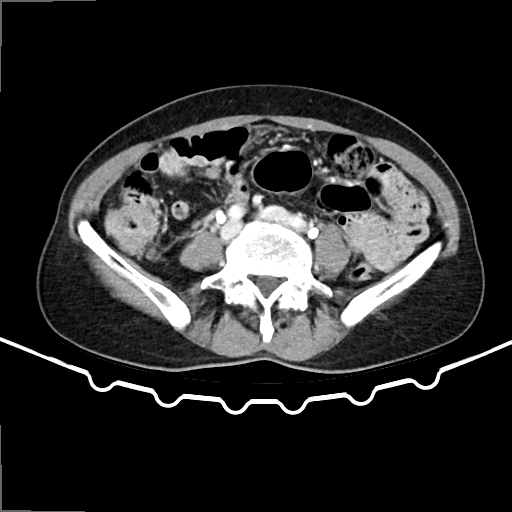
modality = multiphase abdominal CT, liver, delayed phase | patient = female, age 65.